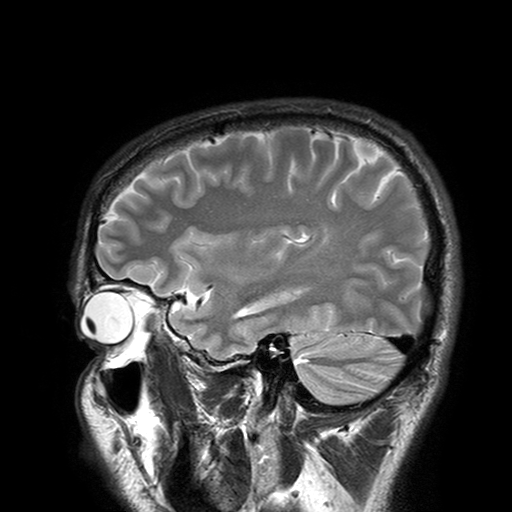
Clinical context:
3 Tesla brain MRI. Series: T2-weighted turbo spin echo with SENSE. Study: ring-enhancing brain masses.